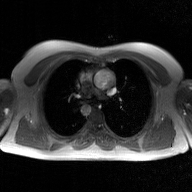
2D phase-contrast cine MRI of the ascending aorta, GAN super-resolution reconstruction.